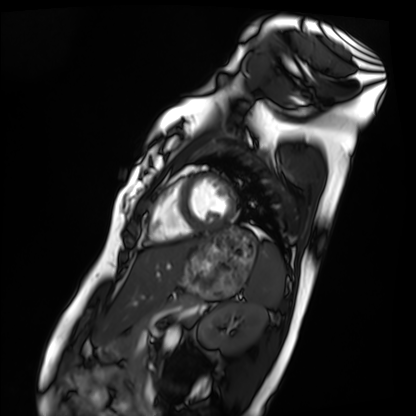
Q: What kind of scan is this?
A: Cardiac MRI.
Subject group: healthy volunteer.